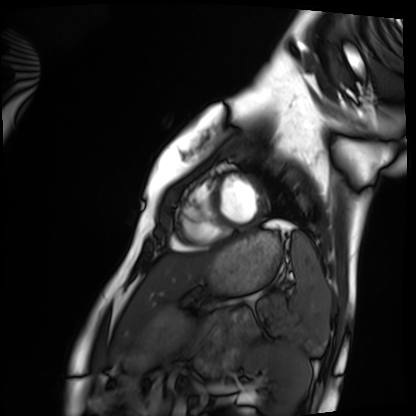
Case summary:
Cardiac MRI. Subject group: healthy volunteer.